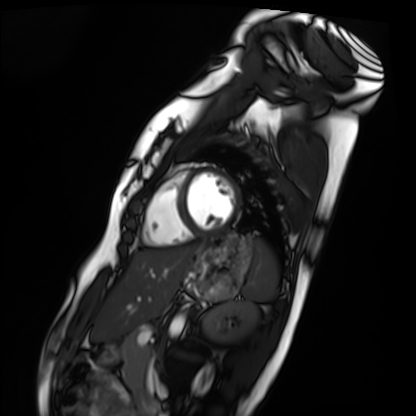
Cardiac MRI. Subject group: healthy volunteer.